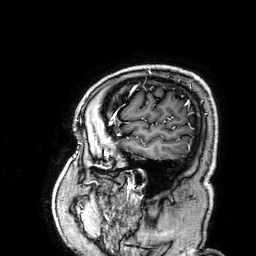
{
  "modality": {
    "type": "brain MRI",
    "field_strength": "3T"
  },
  "series": "3D T1-weighted",
  "study_topic": "ring-enhancing brain masses"
}